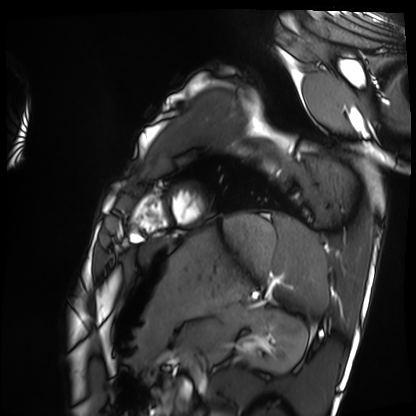
modality: cardiac MRI; subject group: healthy volunteer.